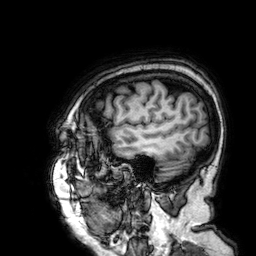
Clinical context:
3 Tesla brain MRI. Series: 3D T1-weighted. Study: ring-enhancing brain masses.